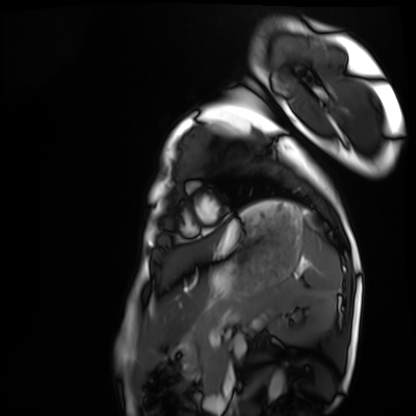
Cardiac MRI.
Subject group: healthy volunteer.